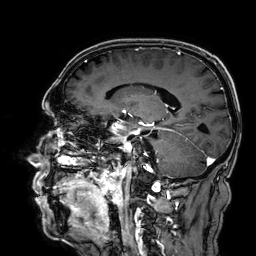
3 Tesla brain MRI.
Series: 3D T1-weighted.
Study: ring-enhancing brain masses.